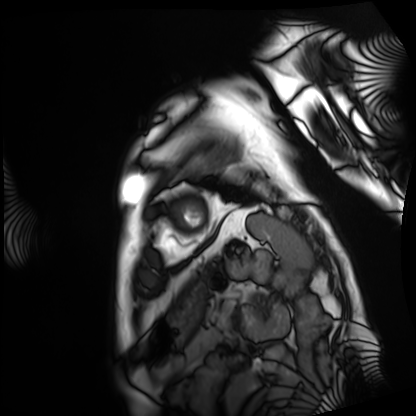
Cardiac MRI. Subject group: patient.